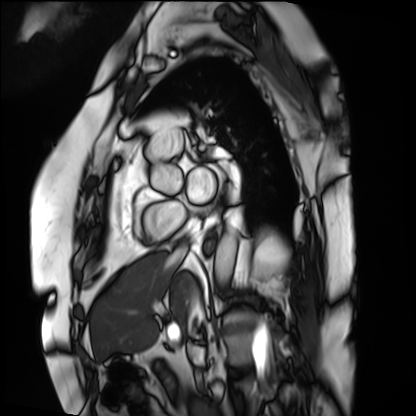
Clinical context: Cardiac MRI. Subject group: patient.